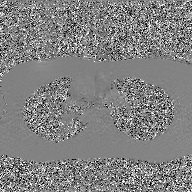
modality — 2D phase-contrast cine MRI of the ascending aorta, GAN super-resolution reconstruction.